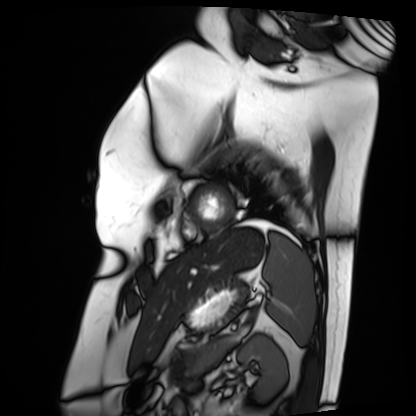
Cardiac MRI. Subject group: patient.